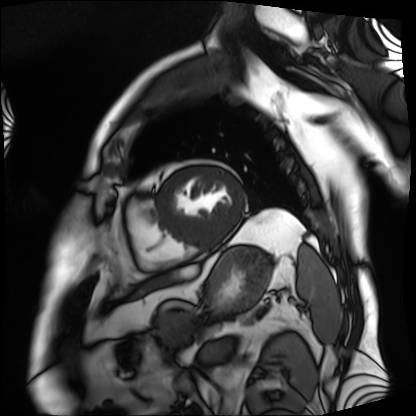
Q: What kind of scan is this?
A: Cardiac MRI.
Subject group: patient.